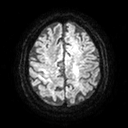
Summary: 3 Tesla brain MRI. Series: diffusion tensor imaging (medium iso). Study: ring-enhancing brain masses.